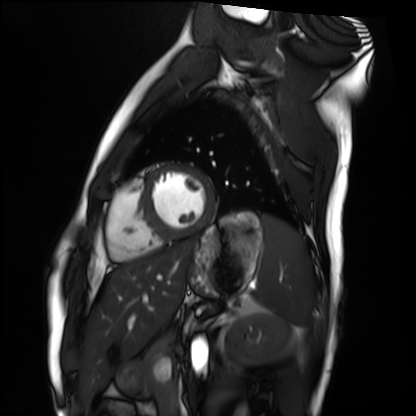
Summary:
Cardiac MRI. Subject group: healthy volunteer.